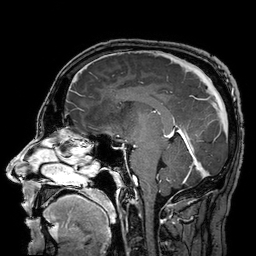
| field | value |
|---|---|
| modality | 3 Tesla brain MRI |
| study | ring-enhancing brain masses |